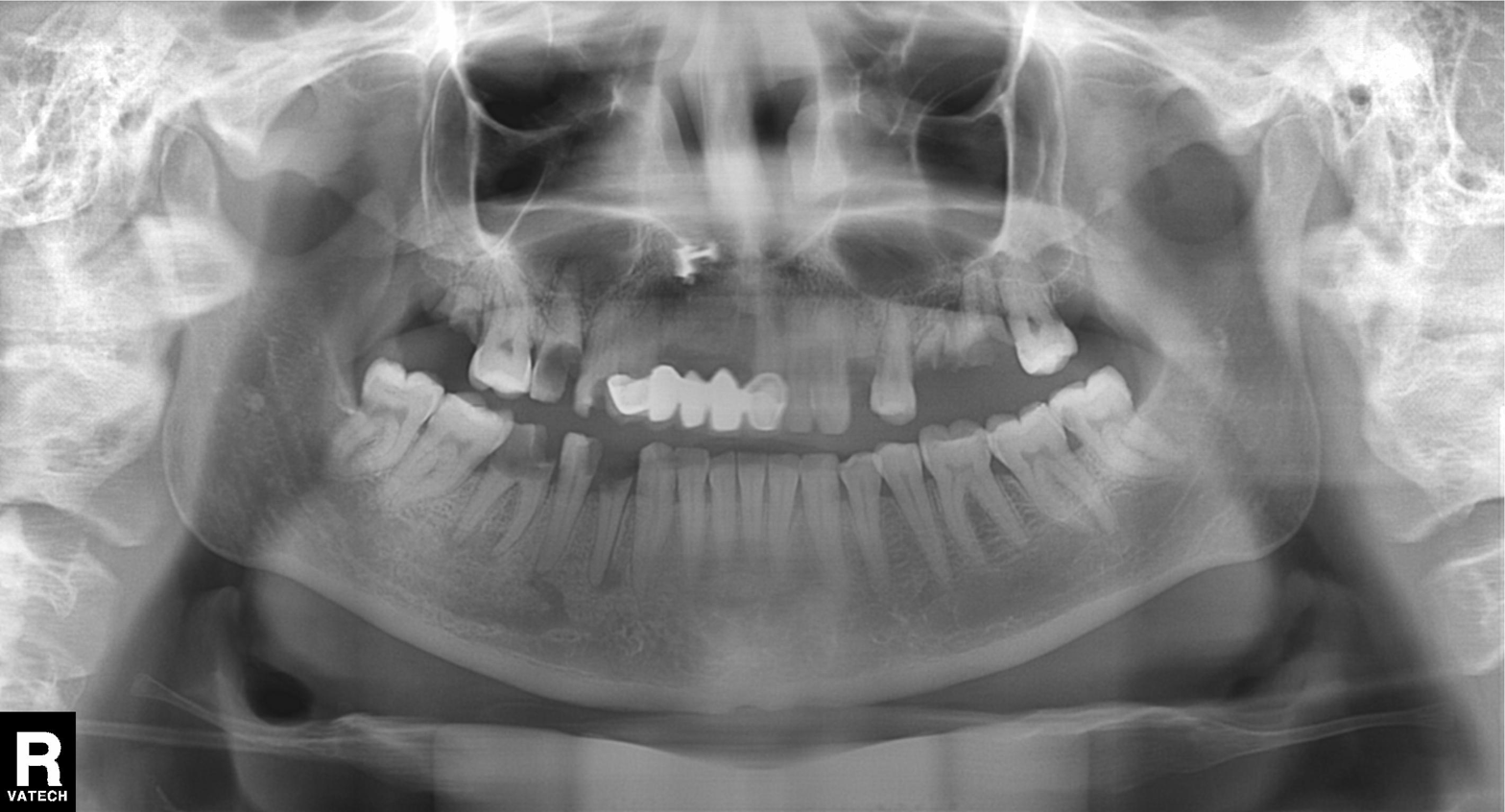
Panoramic dental radiograph (orthopantomogram). Finding: alveolar bone loss.